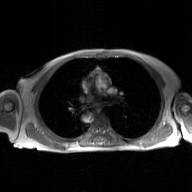
Clinical context: 2D phase-contrast cine MRI of the ascending aorta, GAN super-resolution reconstruction.